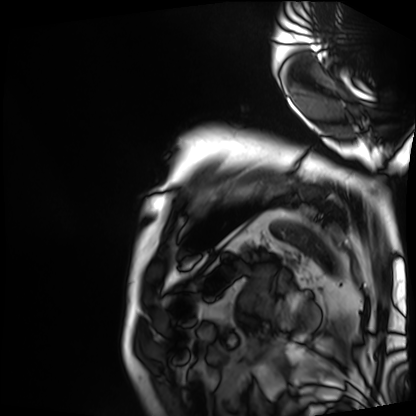
<case>
<modality>cardiac MRI</modality>
<cohort>patient</cohort>
</case>